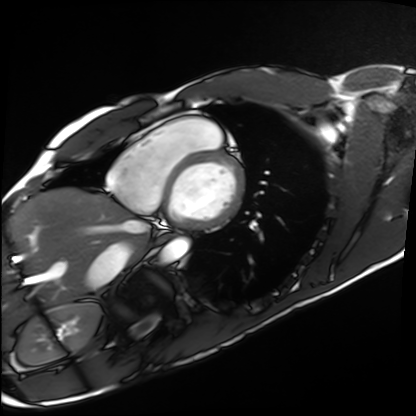
Cardiac MRI. Subject group: healthy volunteer.